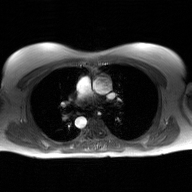
Q: What kind of scan is this?
A: 2D phase-contrast cine MRI of the ascending aorta, GAN super-resolution reconstruction.